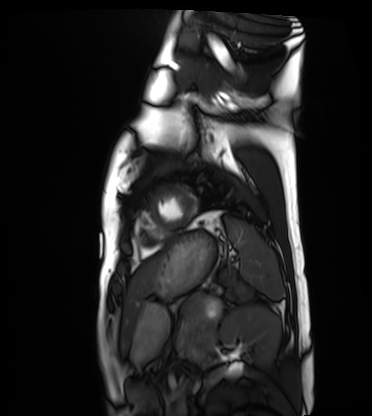
modality: cardiac MRI
subject group: healthy volunteer